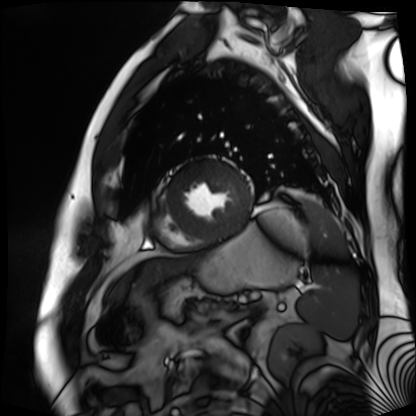
| field | value |
|---|---|
| modality | cardiac MR image of the myocardium |
| subject cohort | cardiac patient |